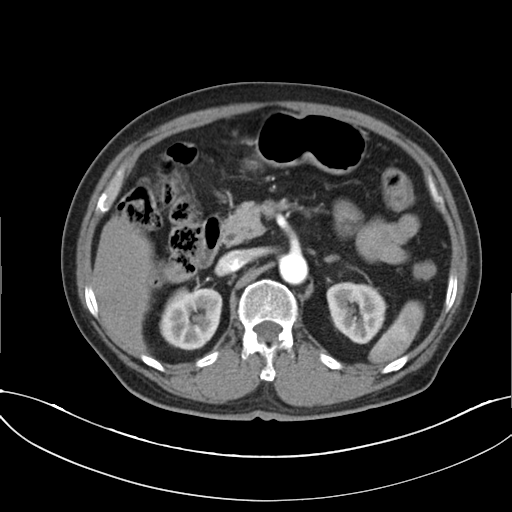
Case summary: Multiphase abdominal CT, liver, arterial phase. Patient: male, age 72. History: cirrhosis, viral hepatitis.